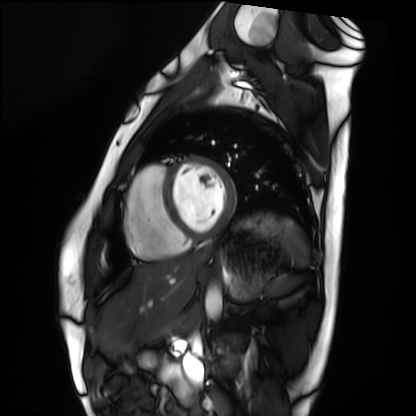
Q: What kind of scan is this?
A: Cardiac MRI.
Subject group: healthy volunteer.